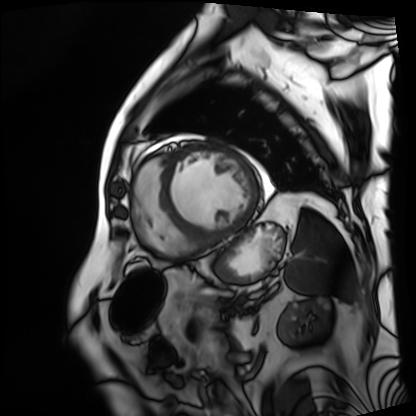
Cardiac MRI. Subject group: patient.